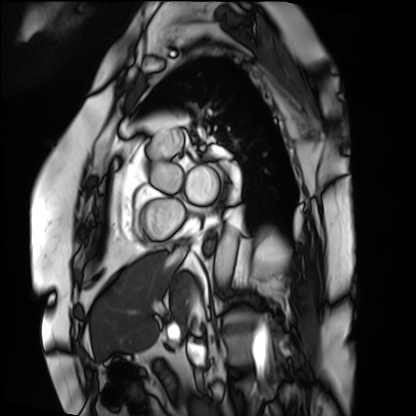
Cardiac MRI.
Subject group: patient.